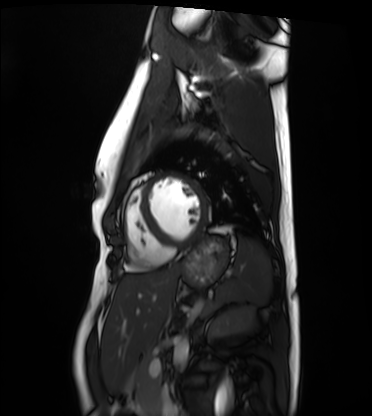
Summary:
Cardiac MRI. Subject group: healthy volunteer.